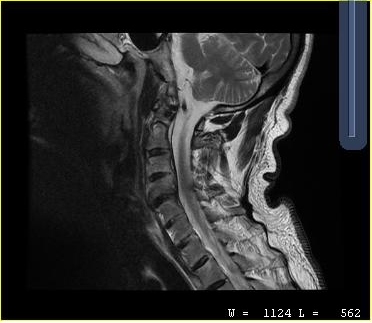
| field | value |
|---|---|
| modality | MRI of the cervical spine |
| study | cervical spondylosis |